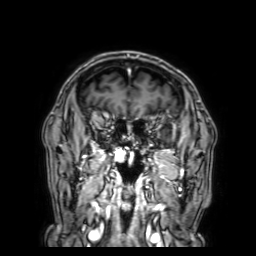
modality: 3 Tesla brain MRI; series: 3D T1-weighted with SENSE; study: ring-enhancing brain masses.